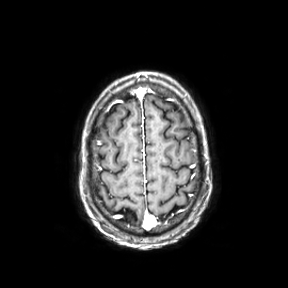
3 Tesla brain MRI. Series: axial. Study: ring-enhancing brain masses.